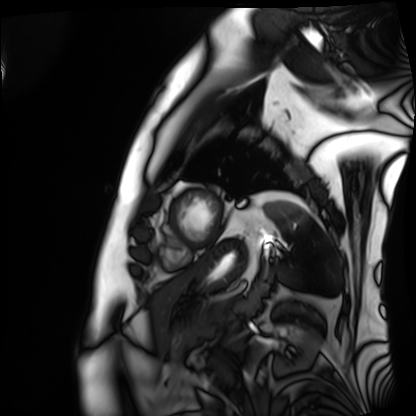
Q: What kind of scan is this?
A: Cardiac MRI.
Subject group: patient.